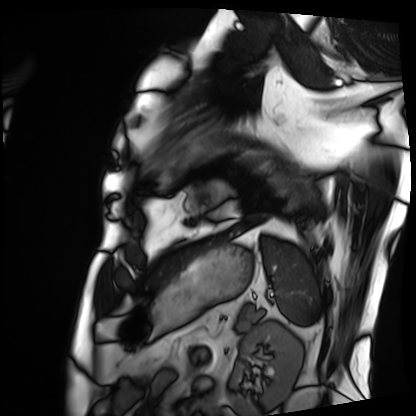
Q: What kind of scan is this?
A: Cardiac MRI.
Subject group: patient.